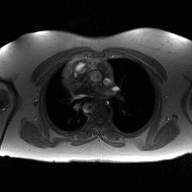
Q: What kind of scan is this?
A: 2D phase-contrast cine MRI of the ascending aorta.